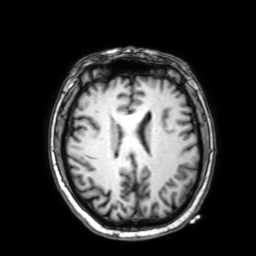
Clinical context:
3 Tesla brain MRI. Series: 3D T1-weighted with SENSE. Study: ring-enhancing brain masses.